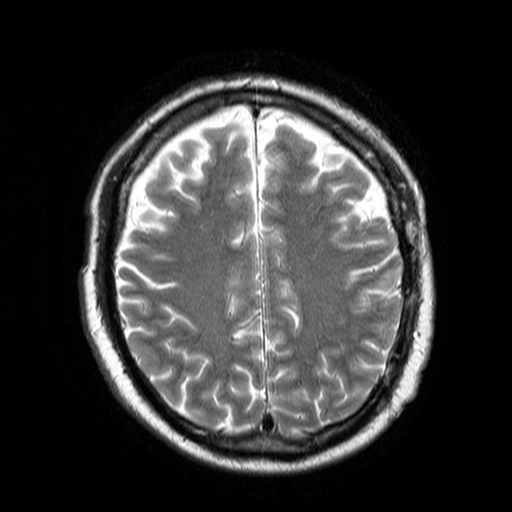
3 Tesla brain MRI. Series: T2-weighted turbo spin echo. Study: ring-enhancing brain masses.